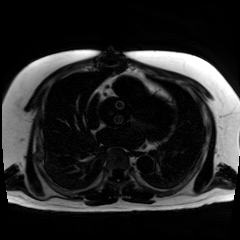
Chemical-shift-encoded cardiac MRI.